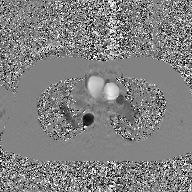
Clinical context: 2D phase-contrast cine MRI of the ascending aorta, GAN super-resolution reconstruction.